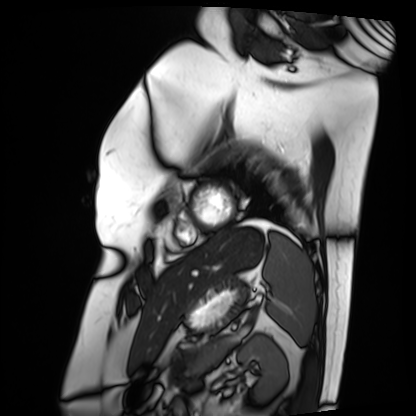
Case summary: Cardiac MRI. Subject group: patient.